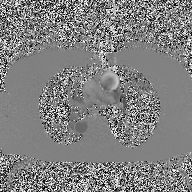
– modality: 2D phase-contrast cine MRI of the ascending aorta